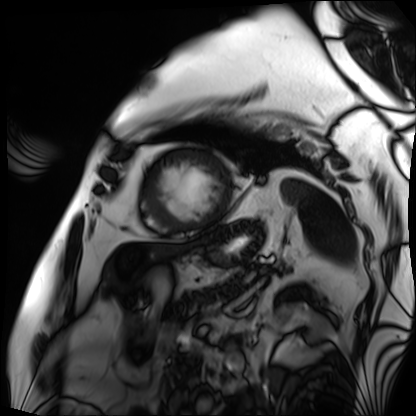
Clinical context: Cardiac MRI. Subject group: patient.